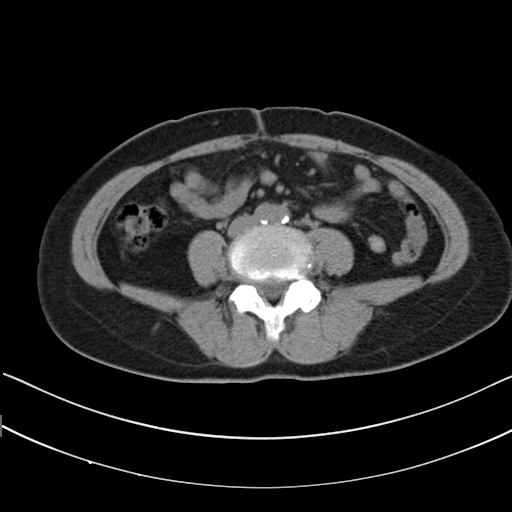
Multiphase abdominal CT, liver, non-contrast phase.